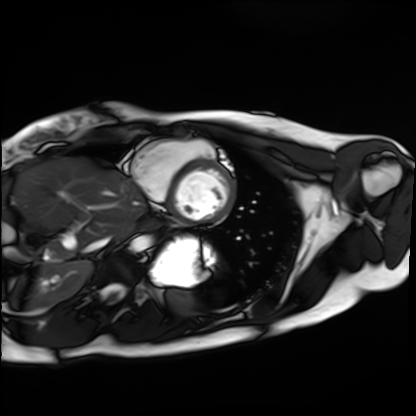
modality = cardiac MRI | subject group = healthy volunteer.